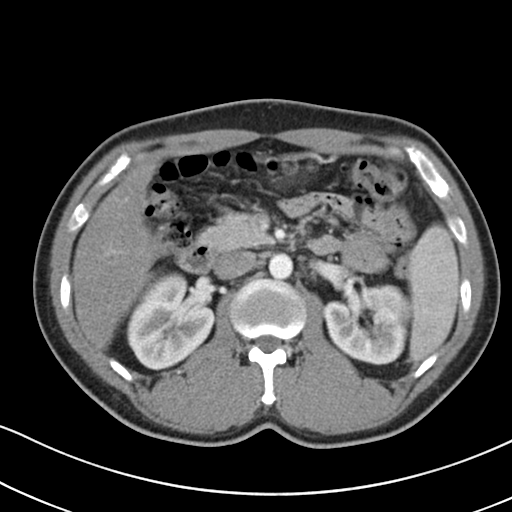
Q: What kind of scan is this?
A: Multiphase abdominal CT, liver, arterial phase.
Q: Patient?
A: Male, age 41.
Q: History?
A: Cirrhosis, viral hepatitis.